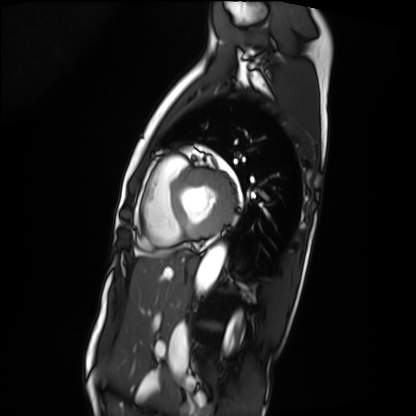
<record>
<modality>cardiac MRI</modality>
<cohort>patient</cohort>
</record>